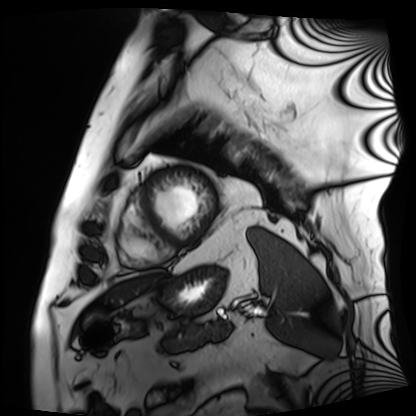
modality: cardiac MRI | subject group: patient.